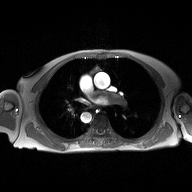
2D phase-contrast cine MRI of the ascending aorta, high-resolution GRAPPA acquisition.